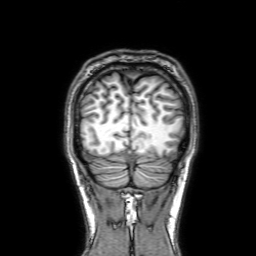
Summary: 3 Tesla brain MRI. Series: 3D T1-weighted with SENSE. Study: ring-enhancing brain masses.